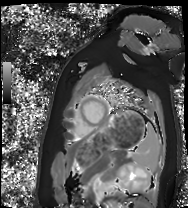
{"modality": "cardiac MRI", "cohort": "healthy volunteer"}